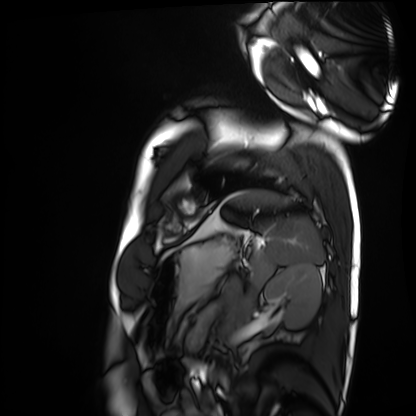
* modality — cardiac MRI
* subject group — healthy volunteer